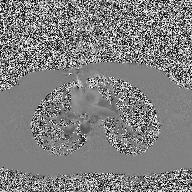
{"modality": {"type": "2D phase-contrast cine MRI", "region": "ascending aorta", "reconstruction": "high-resolution GRAPPA acquisition"}}